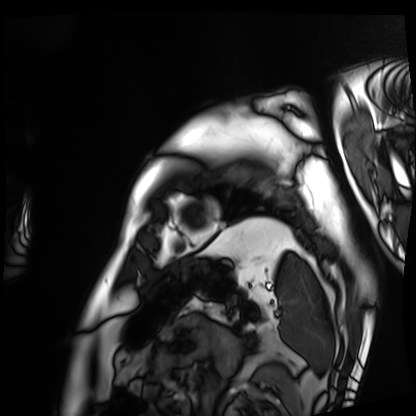
  modality: cardiac MRI
  cohort: patient